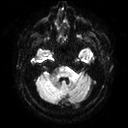
Case:
- modality: 3 Tesla brain MRI
- series: diffusion tensor imaging (medium iso)
- study: ring-enhancing brain masses